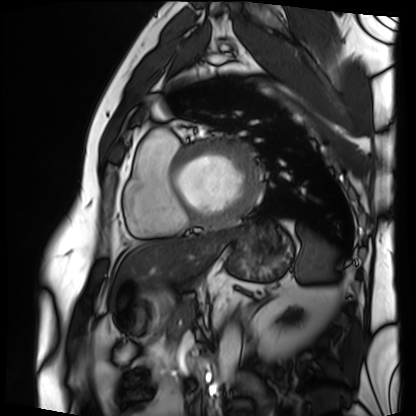
modality: cardiac MRI
subject group: patient